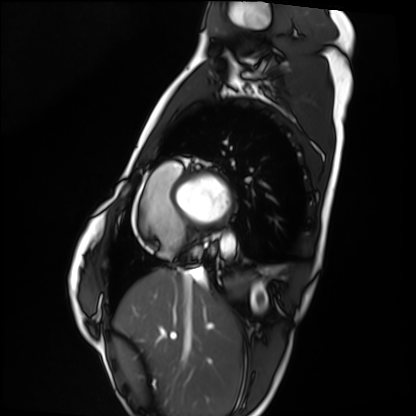
modality = cardiac MRI | subject group = healthy volunteer.